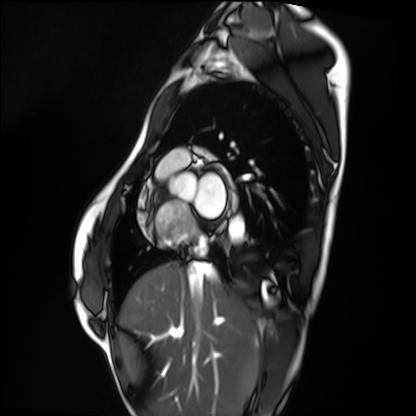
Summary:
Cardiac MRI. Subject group: healthy volunteer.